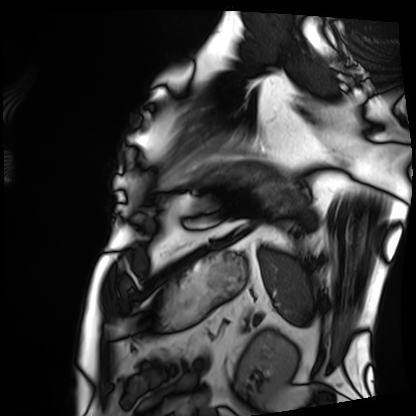
Cardiac MRI. Subject group: patient.